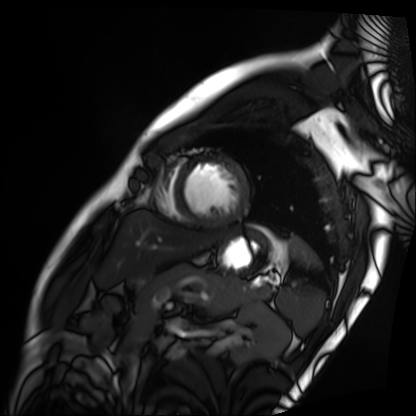
Summary: Cardiac MRI. Subject group: patient.